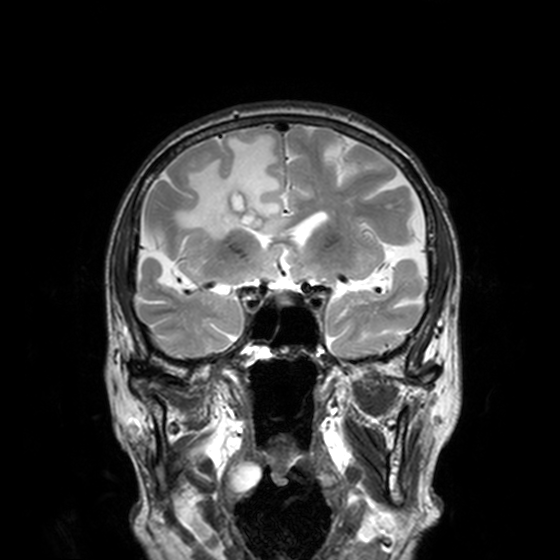
{"modality": {"type": "brain MRI", "field_strength": "3T"}, "study_topic": "ring-enhancing brain masses"}